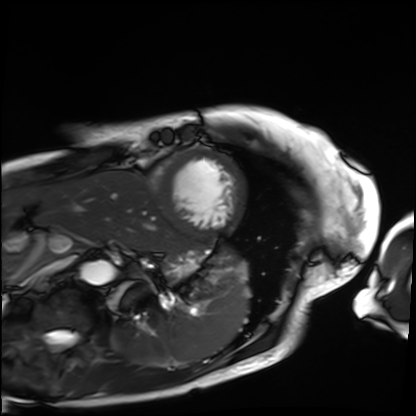
Cardiac MRI.
Subject group: patient.